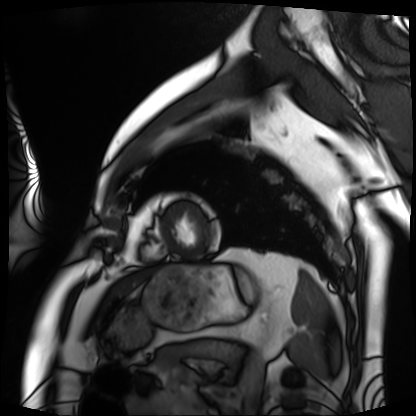
modality: cardiac MRI; subject group: patient.